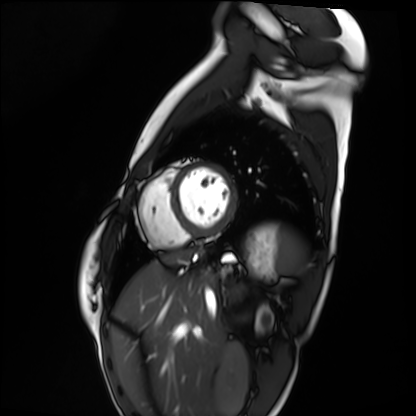
Cardiac MRI.
Subject group: healthy volunteer.